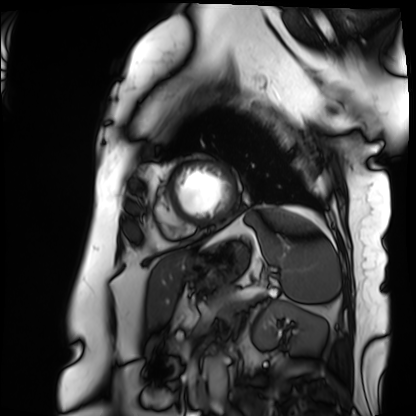
Cardiac MRI. Subject group: patient.